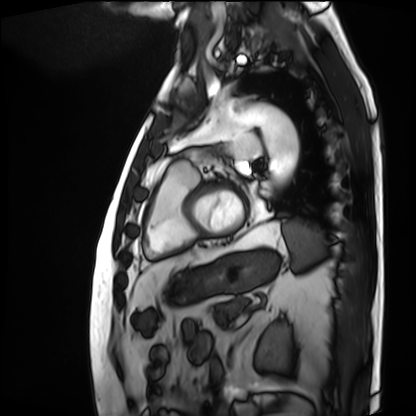
Case summary:
Cardiac MRI. Subject group: patient.